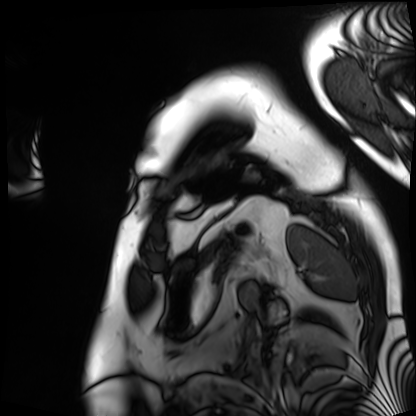
Cardiac MRI. Subject group: patient.